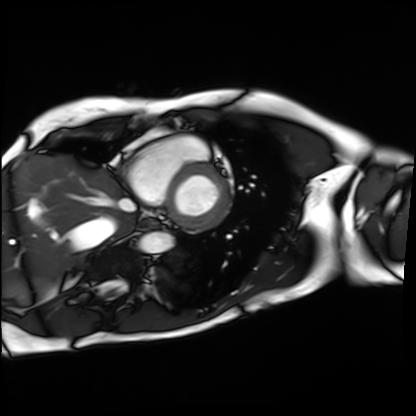
Case summary: Cardiac MRI. Subject group: patient.